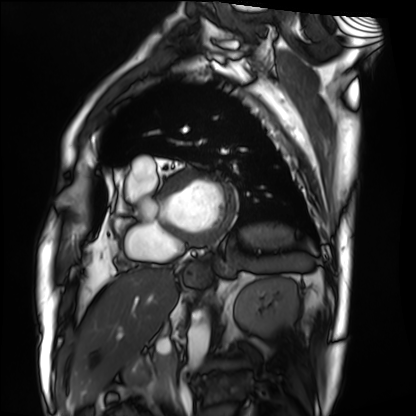
modality = cardiac MRI | subject group = patient.